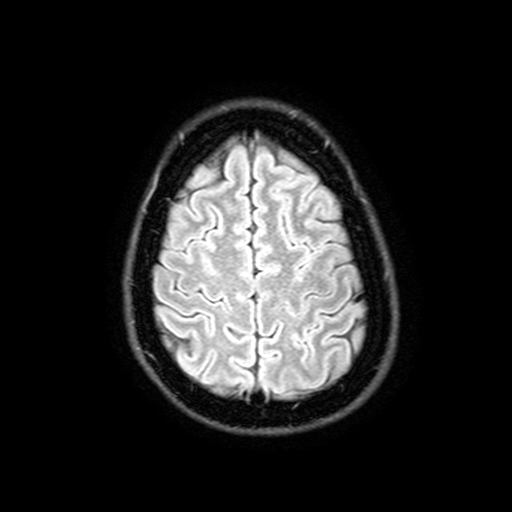
Clinical context:
3 Tesla brain MRI. Series: FLAIR with SPAIR, 3 mm. Study: ring-enhancing brain masses.